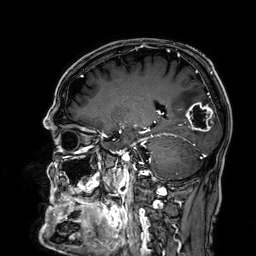
3 Tesla brain MRI. Series: 3D T1-weighted. Study: ring-enhancing brain masses.